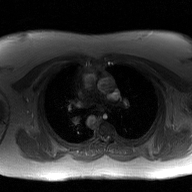
Q: What kind of scan is this?
A: 2D phase-contrast cine MRI of the ascending aorta, GAN super-resolution reconstruction.